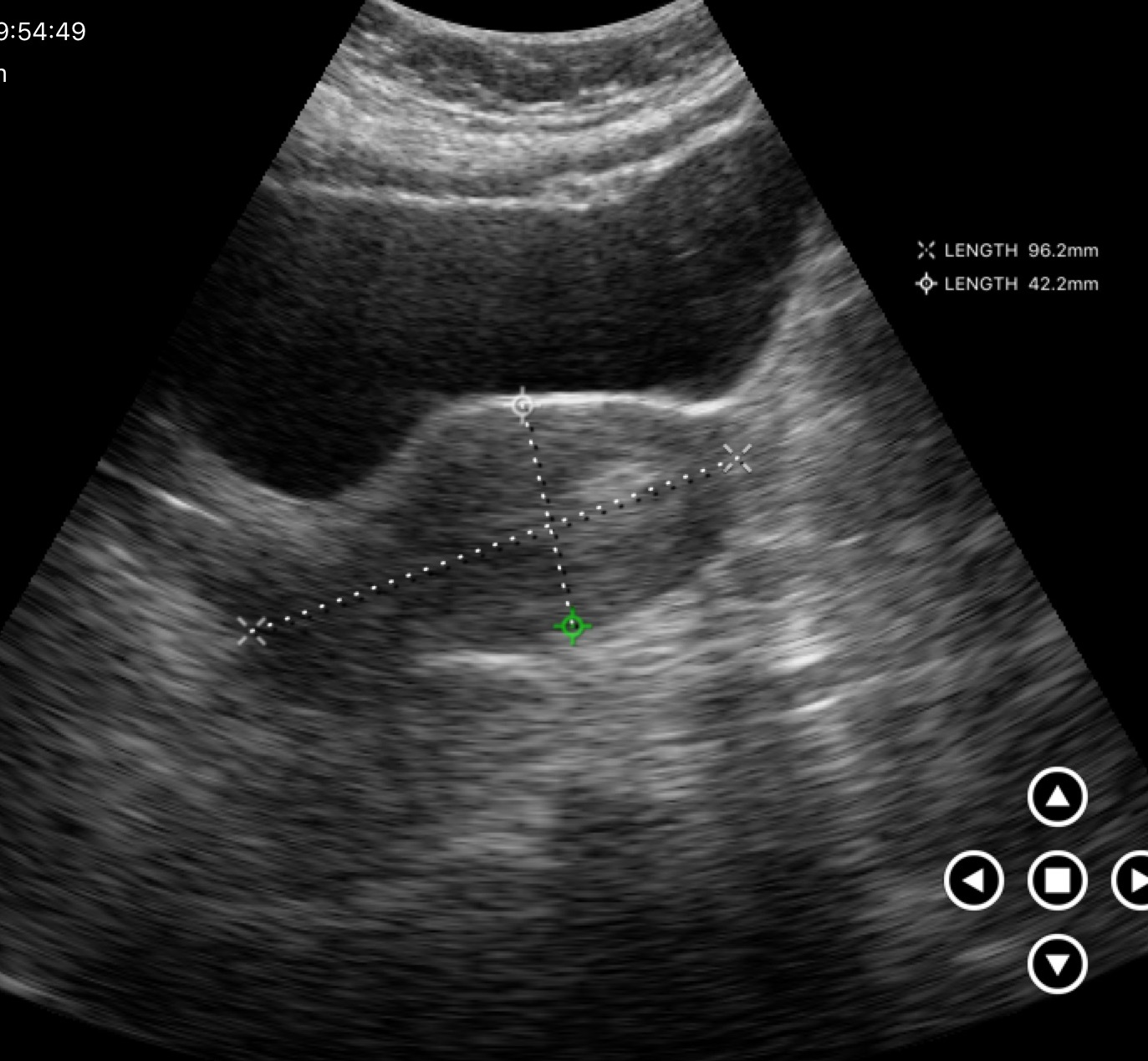
| field | value |
|---|---|
| modality | genitourinary ultrasound |